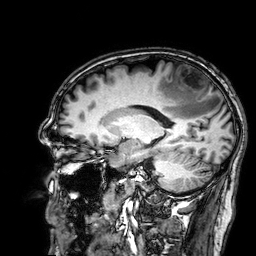
modality = 3 Tesla brain MRI; series = 3D T1-weighted; study = ring-enhancing brain masses.